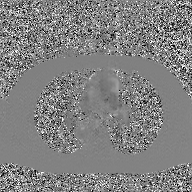
{
  "modality": {
    "type": "2D phase-contrast cine MRI",
    "region": "ascending aorta",
    "reconstruction": "GAN super-resolution reconstruction"
  }
}